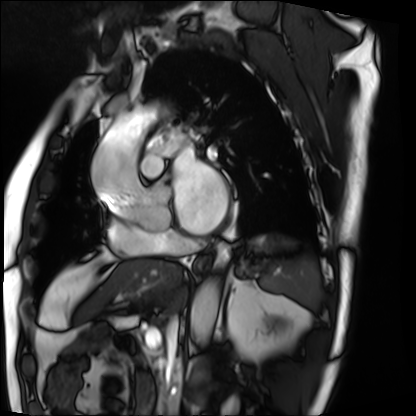
Summary: Cardiac MRI. Subject group: patient.